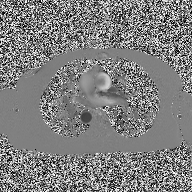
Summary:
2D phase-contrast cine MRI of the ascending aorta, high-resolution GRAPPA acquisition.